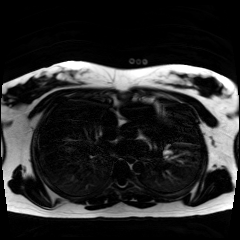
modality: chemical-shift-encoded cardiac MRI